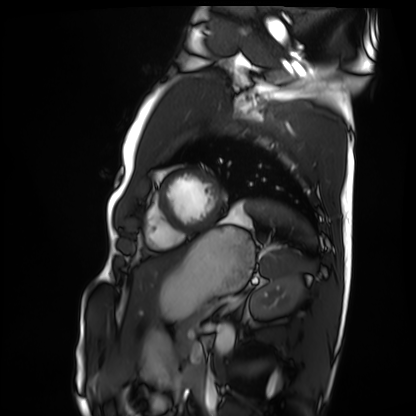
Cardiac MRI.
Subject group: healthy volunteer.